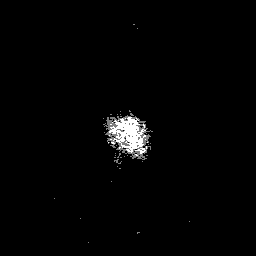
modality: 3 Tesla brain MRI | series: 3D T1-weighted with SENSE | study: ring-enhancing brain masses.